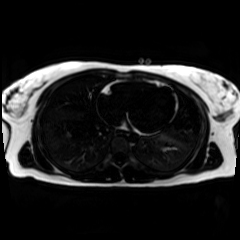
Summary:
Chemical-shift-encoded cardiac MRI.